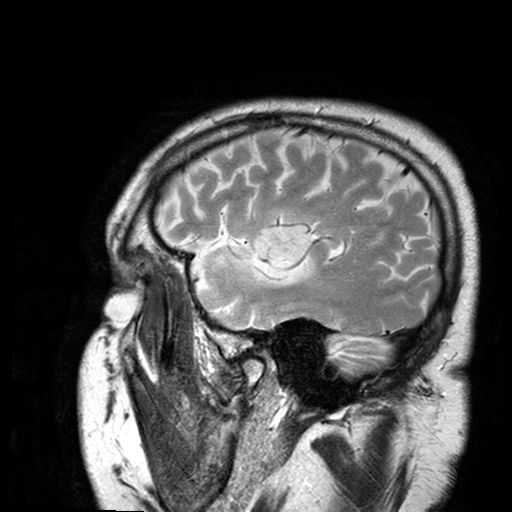
modality:
  type: brain MRI
  field_strength: 3T
series: T2-weighted turbo spin echo with SENSE
study_topic: ring-enhancing brain masses